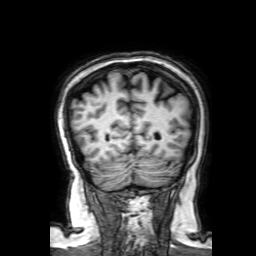
Q: What kind of scan is this?
A: 3 Tesla brain MRI.
Q: Series?
A: 3D T1-weighted with SENSE.
Study: ring-enhancing brain masses.